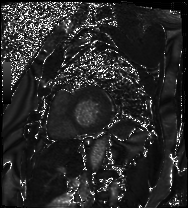
Cardiac MRI. Subject group: patient.